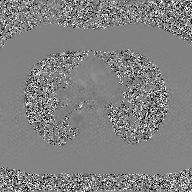
modality = 2D phase-contrast cine MRI of the ascending aorta, GAN super-resolution reconstruction